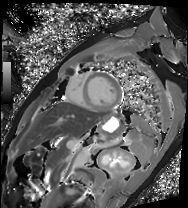
modality — cardiac MRI; subject group — patient.